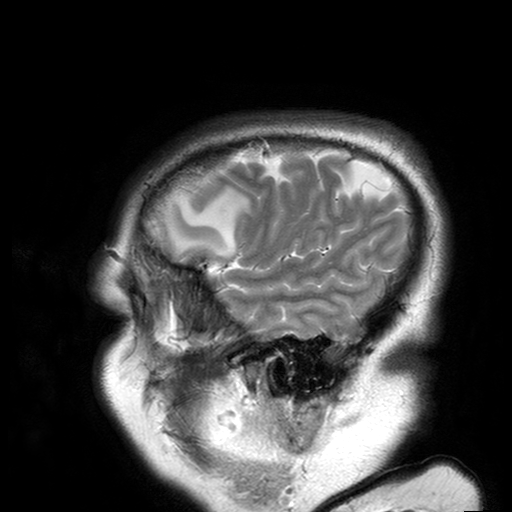
{
  "modality": {
    "type": "brain MRI",
    "field_strength": "3T"
  },
  "series": "T2-weighted turbo spin echo with SENSE",
  "study_topic": "ring-enhancing brain masses"
}